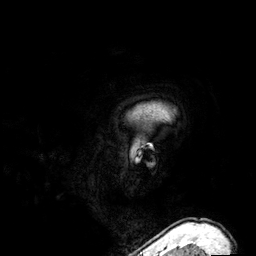
3 Tesla brain MRI.
Series: 3D T1-weighted.
Study: ring-enhancing brain masses.